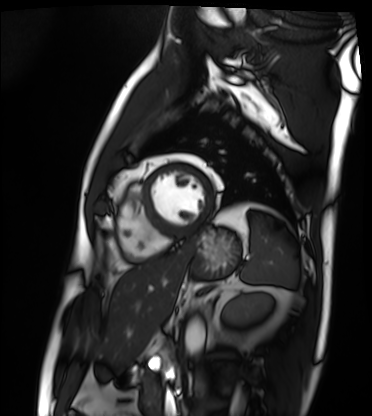
| field | value |
|---|---|
| modality | cardiac MRI |
| subject group | patient |